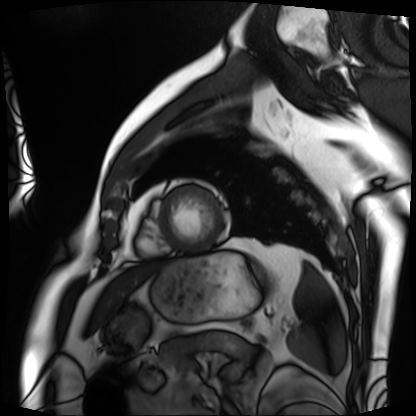
modality: cardiac MRI; subject group: patient.